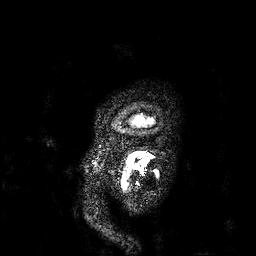
* modality — 3 Tesla brain MRI
* series — 3D T1-weighted
* study — ring-enhancing brain masses